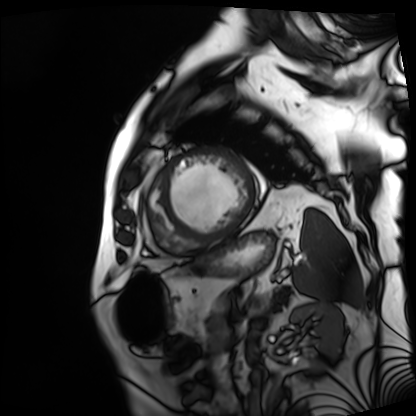
Cardiac MRI. Subject group: patient.